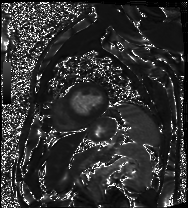
Summary: Cardiac MRI. Subject group: patient.